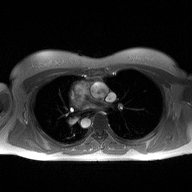
Q: What kind of scan is this?
A: 2D phase-contrast cine MRI of the ascending aorta.